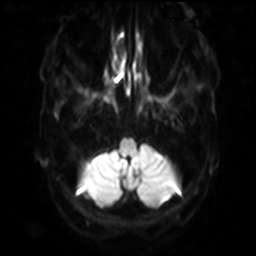
modality — 3 Tesla brain MRI
series — diffusion-weighted imaging with SENSE (WIP)
study — ring-enhancing brain masses